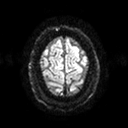
- modality — 3 Tesla brain MRI
- series — diffusion tensor imaging (medium iso)
- study — ring-enhancing brain masses